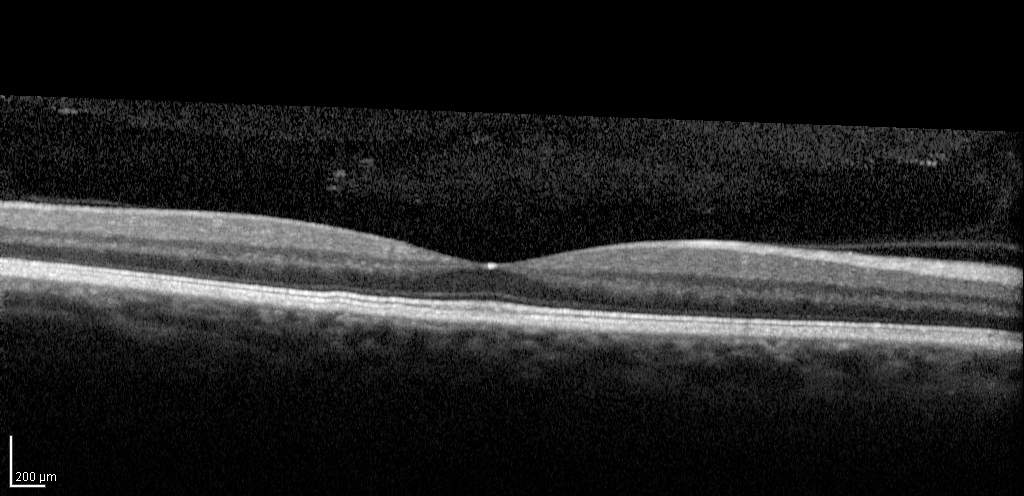
Spectral-domain optical coherence tomography (SD-OCT) of the macula. Subject: male, age 52, right eye. Cohort: diabetic subject. ETDRS-grid retinal thickness (μm): central 280, inner temporal 328, inner nasal 349, inner superior 348, inner inferior 344, outer temporal 295, outer nasal 320, outer superior 313, outer inferior 308.